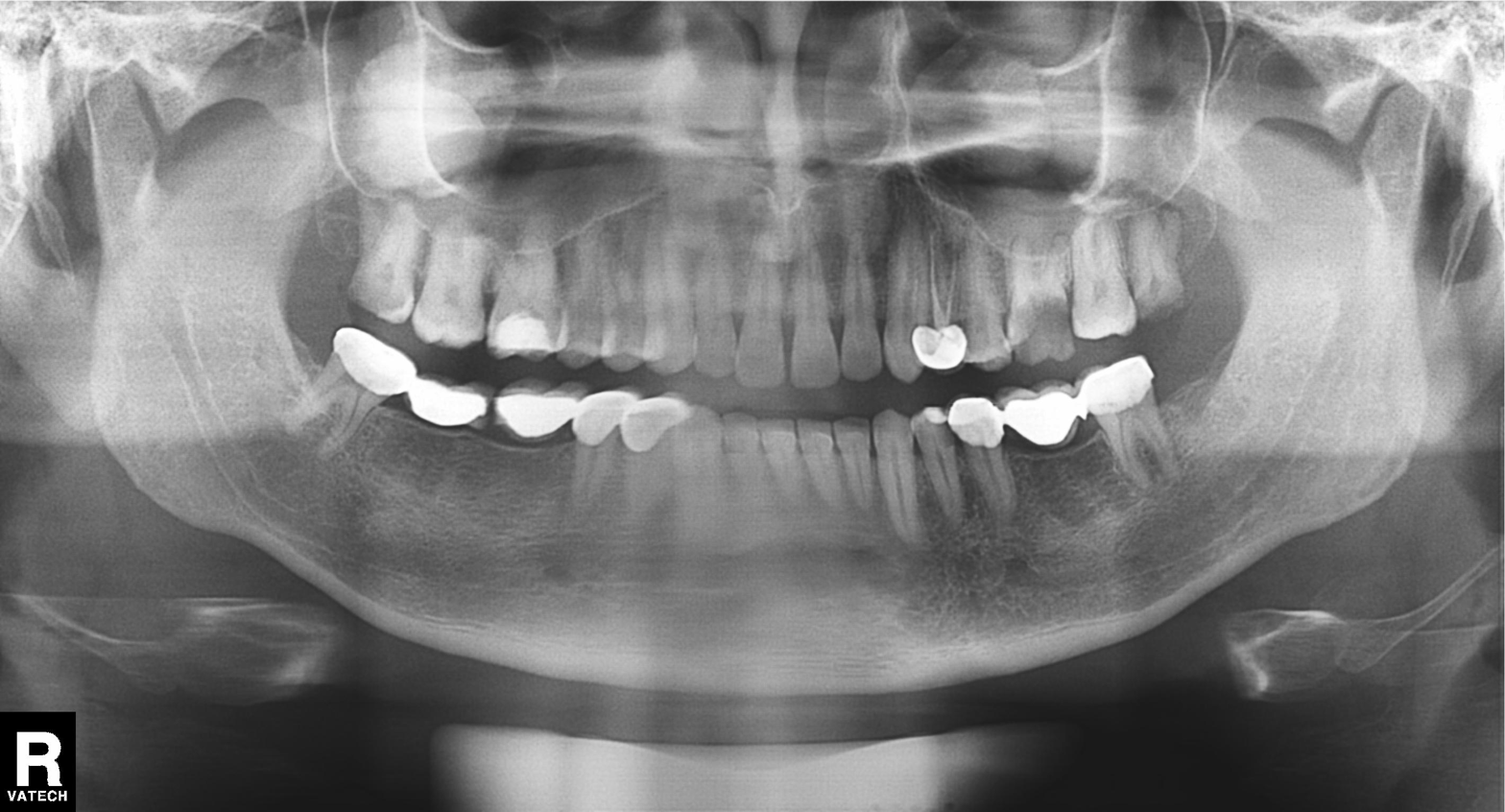
Case:
* modality: panoramic dental radiograph (orthopantomogram)
* finding: dental caries (cavities)